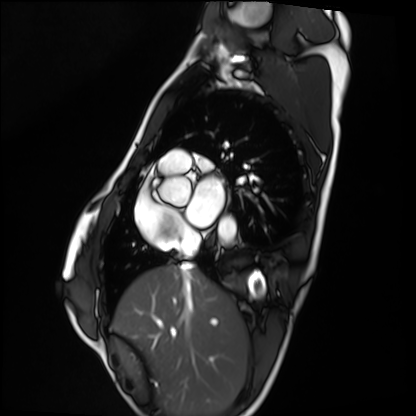
* modality · cardiac MRI
* subject group · healthy volunteer